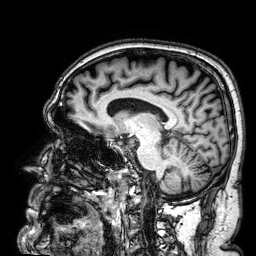
Summary:
3 Tesla brain MRI. Series: 3D T1-weighted. Study: ring-enhancing brain masses.